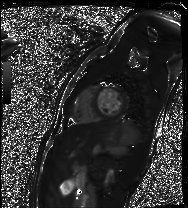
Summary: Cardiac MR image of the myocardium. Subject cohort: healthy volunteer.